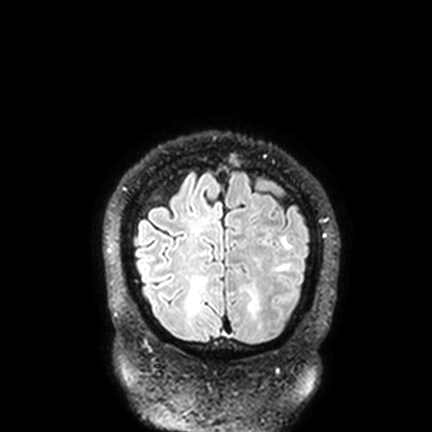
  modality:
    type: brain MRI
    field_strength: 3T
  series: FLAIR VISTA with SENSE
  study_topic: ring-enhancing brain masses